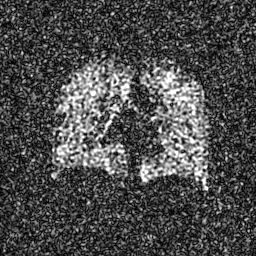
modality: hyperpolarized 129Xe ventilation MRI of the lungs
SNR level: 6 of 8 (the deposit holds this scan as its native image and as seven SNR-degraded versions)